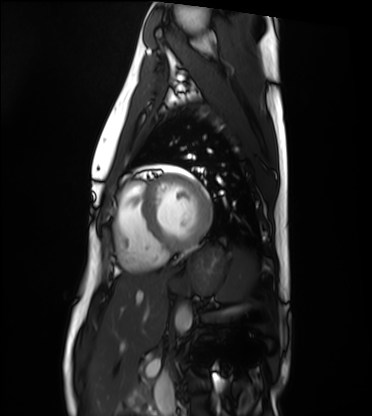
<study>
  <modality>cardiac MRI</modality>
  <cohort>healthy volunteer</cohort>
</study>